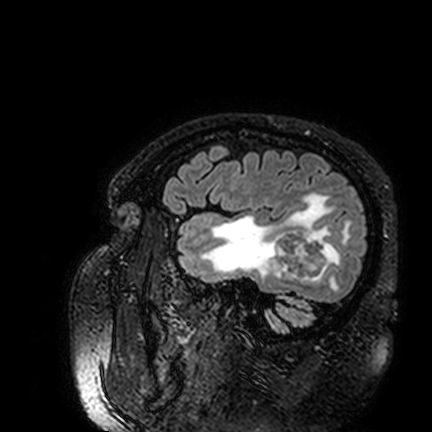
Q: What kind of scan is this?
A: 3 Tesla brain MRI.
Study: ring-enhancing brain masses.